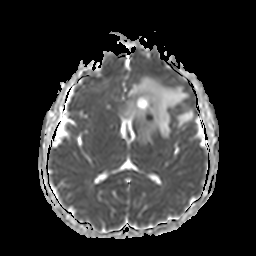
{"modality": {"type": "brain MRI", "field_strength": "3T"}, "series": "apparent diffusion coefficient (ADC) map", "study_topic": "ring-enhancing brain masses"}